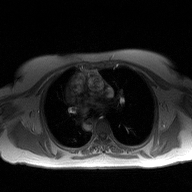
| field | value |
|---|---|
| modality | 2D phase-contrast cine MRI of the ascending aorta |